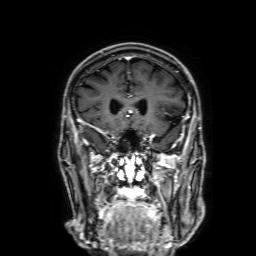
Summary:
3 Tesla brain MRI. Series: 3D T1-weighted with SENSE. Study: ring-enhancing brain masses.